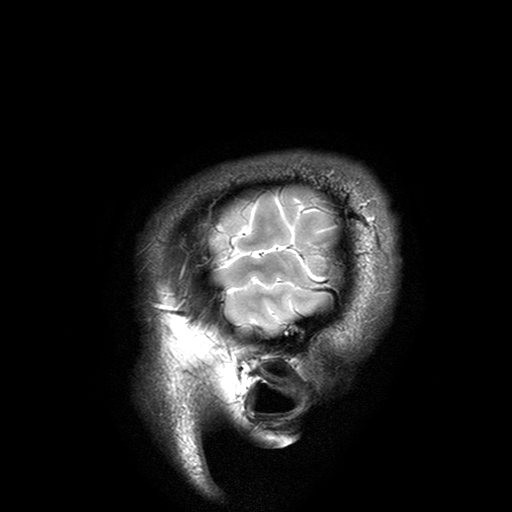
Summary:
3 Tesla brain MRI. Series: T2-weighted turbo spin echo with SENSE. Study: ring-enhancing brain masses.